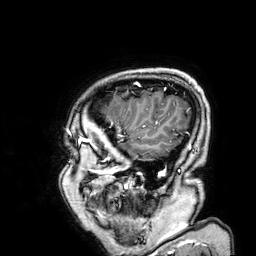
* modality: 3 Tesla brain MRI
* study: ring-enhancing brain masses